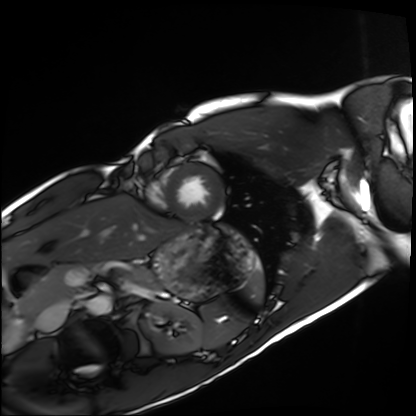
Summary:
Cardiac MRI. Subject group: healthy volunteer.